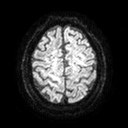
3 Tesla brain MRI.
Series: diffusion tensor imaging (medium iso).
Study: ring-enhancing brain masses.